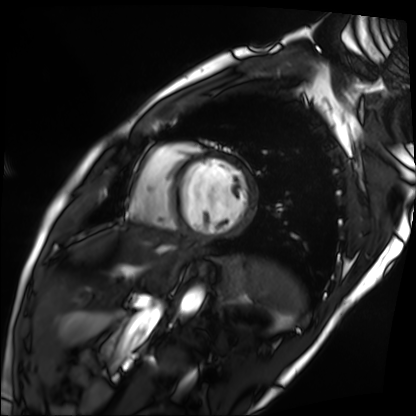
Cardiac MRI.
Subject group: patient.